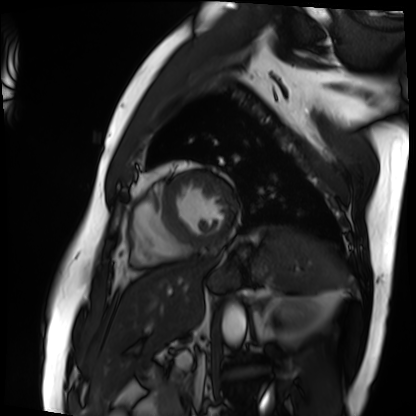
| field | value |
|---|---|
| modality | cardiac MRI |
| subject group | patient |